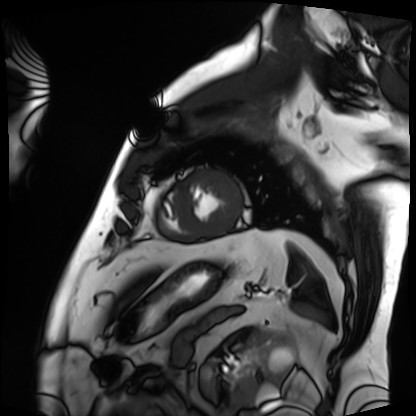
Cardiac MRI.
Subject group: patient.